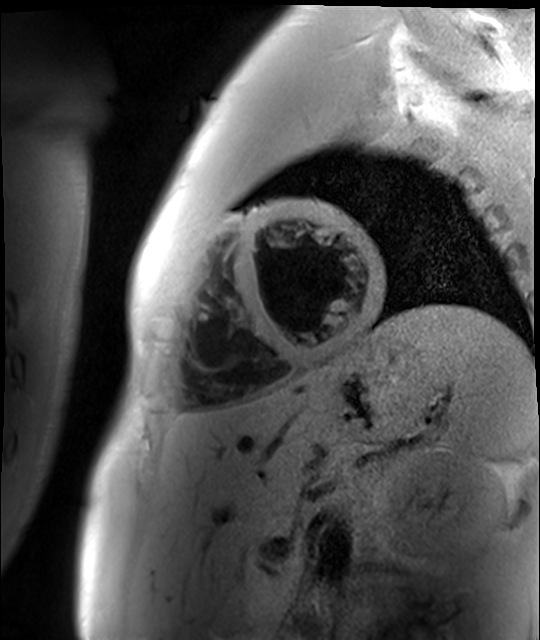
modality: cardiac MR image of the myocardium | subject cohort: healthy volunteer.